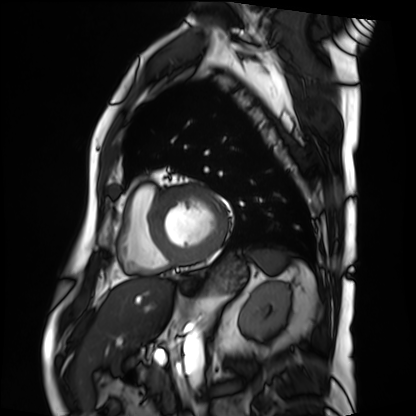
| field | value |
|---|---|
| modality | cardiac MRI |
| subject group | patient |